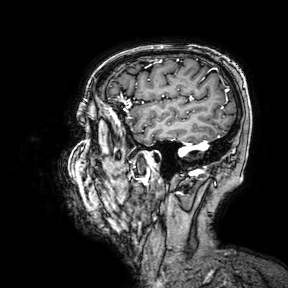
modality — 3 Tesla brain MRI
series — 3D T1-weighted turbo field echo with SENSE
study — ring-enhancing brain masses